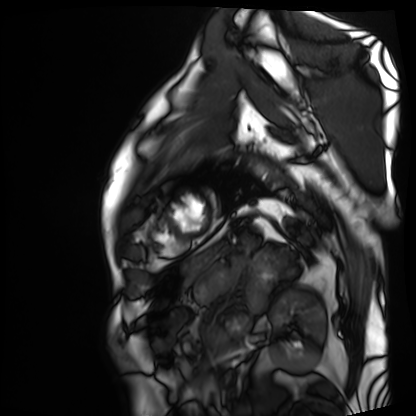
Cardiac MRI.
Subject group: patient.